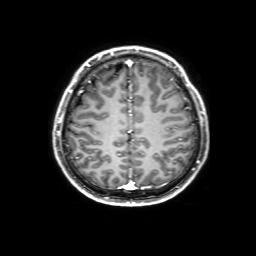
• modality · 3 Tesla brain MRI
• series · 3D T1-weighted with SENSE
• study · ring-enhancing brain masses